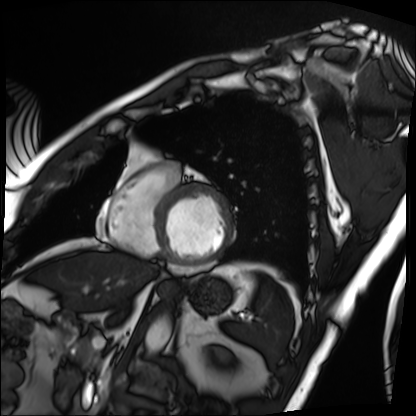
  modality: cardiac MRI
  cohort: patient